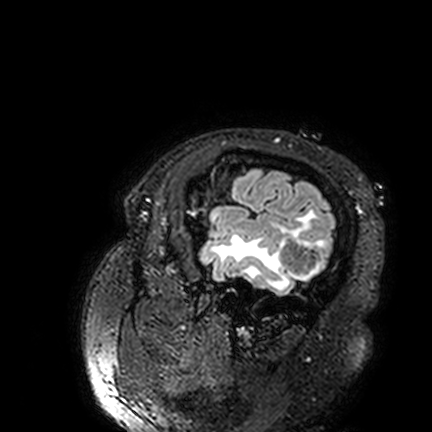
{"modality": {"type": "brain MRI", "field_strength": "3T"}, "series": "FLAIR VISTA", "study_topic": "ring-enhancing brain masses"}